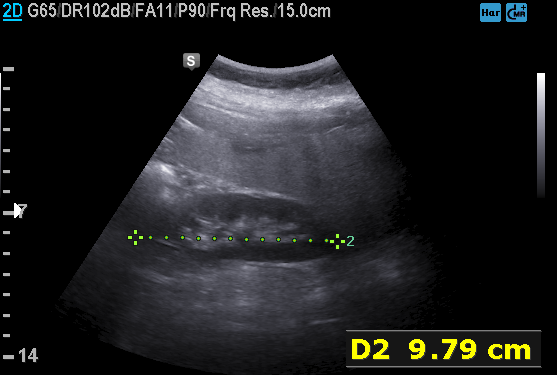
Case summary: Genitourinary ultrasound.